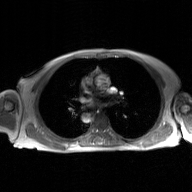
2D phase-contrast cine MRI of the ascending aorta, GAN super-resolution reconstruction.